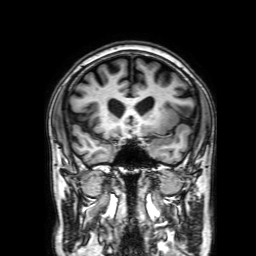
Case summary: 3 Tesla brain MRI. Series: 3D T1-weighted with SENSE. Study: ring-enhancing brain masses.